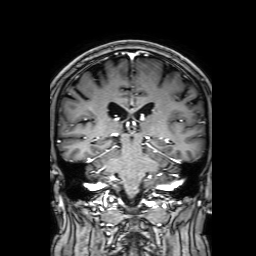
Summary:
3 Tesla brain MRI. Series: 3D T1-weighted with SENSE. Study: ring-enhancing brain masses.